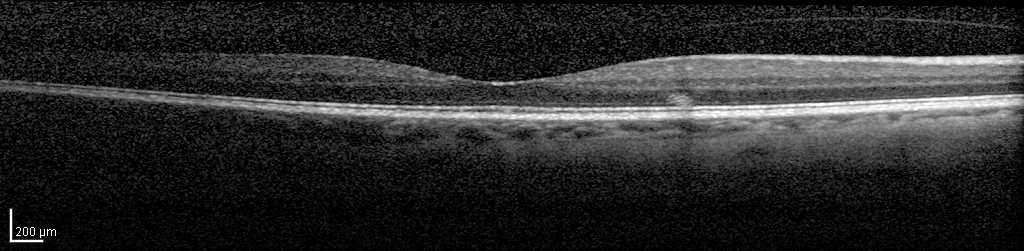
Spectral-domain optical coherence tomography (SD-OCT) of the macula. Subject: male, age 65, right eye. Cohort: non-diabetic control. ETDRS-grid retinal thickness (μm): central 267, inner temporal 339, inner nasal 354, inner superior 350, inner inferior 344, outer temporal 284, outer nasal 310, outer superior 300, outer inferior 292.